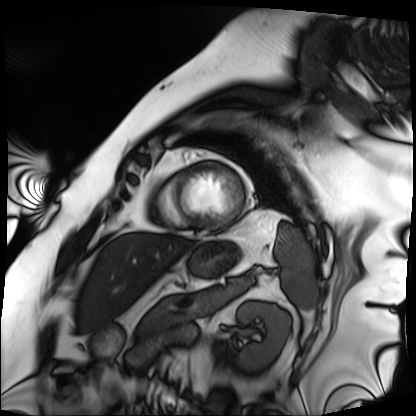
modality: cardiac MRI | subject group: patient.